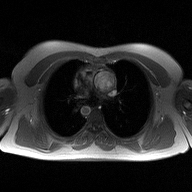
2D phase-contrast cine MRI of the ascending aorta, high-resolution GRAPPA acquisition.